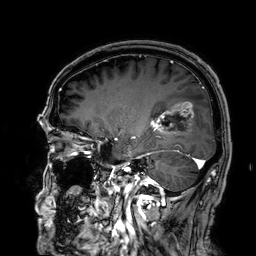
3 Tesla brain MRI.
Series: 3D T1-weighted.
Study: ring-enhancing brain masses.